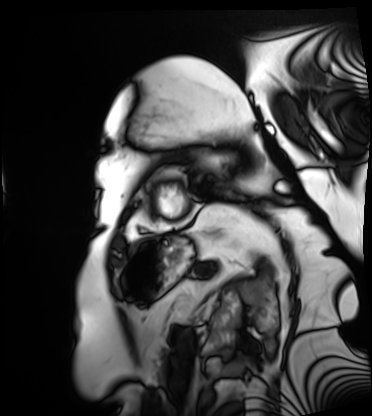
modality = cardiac MRI
subject group = patient